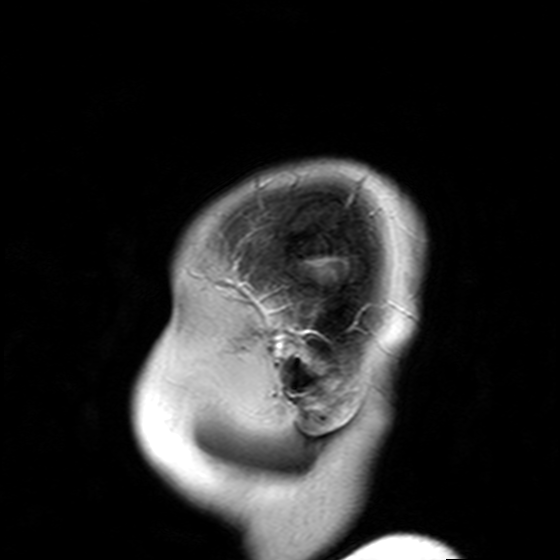
Summary:
3 Tesla brain MRI. Series: T2-weighted turbo spin echo with SENSE. Study: ring-enhancing brain masses.